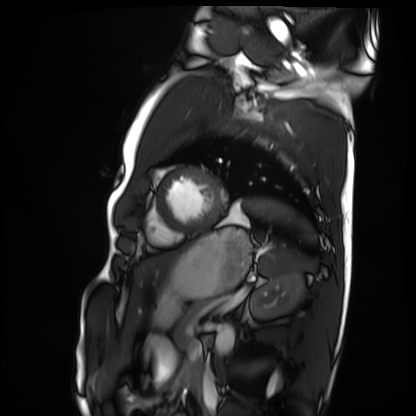
Case:
– modality: cardiac MRI
– subject group: healthy volunteer